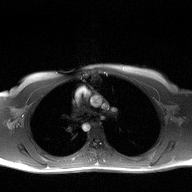
2D phase-contrast cine MRI of the ascending aorta, high-resolution GRAPPA acquisition.